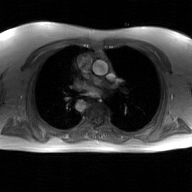
Q: What kind of scan is this?
A: 2D phase-contrast cine MRI of the ascending aorta, GAN super-resolution reconstruction.